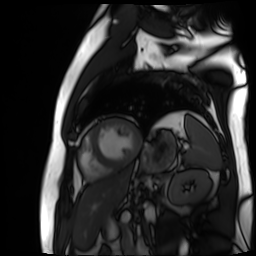
Cardiac MR image of the myocardium.
Subject cohort: cardiac patient.